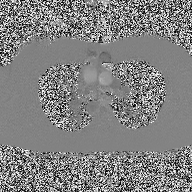
modality:
  type: 2D phase-contrast cine MRI
  region: ascending aorta
  reconstruction: high-resolution GRAPPA acquisition